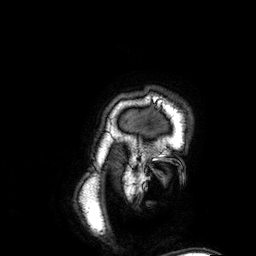
modality: 3 Tesla brain MRI; series: 3D T1-weighted; study: ring-enhancing brain masses.